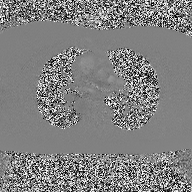
2D phase-contrast cine MRI of the ascending aorta, high-resolution GRAPPA acquisition.